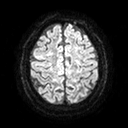
modality = 3 Tesla brain MRI | series = diffusion tensor imaging (medium iso) | study = ring-enhancing brain masses.